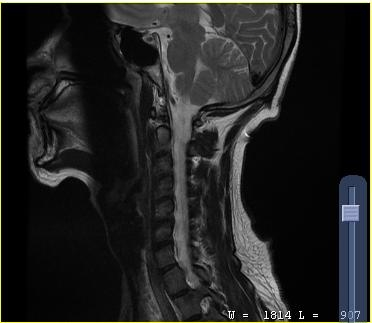
Summary: MRI of the cervical spine. Study: cervical spondylosis.